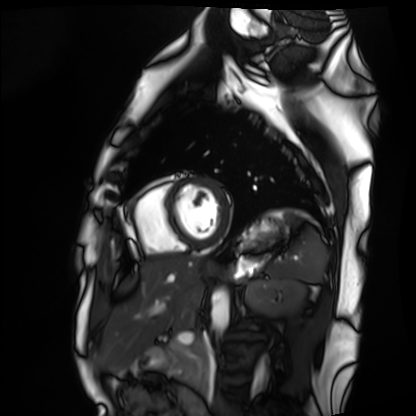
{
  "modality": "cardiac MRI",
  "cohort": "healthy volunteer"
}